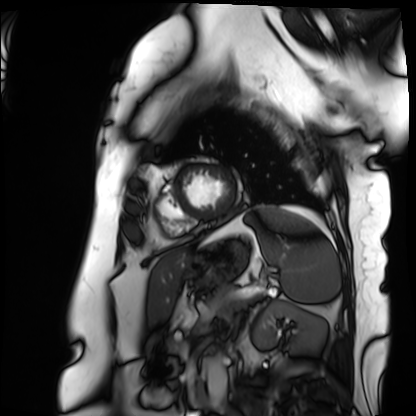
{"modality": "cardiac MRI", "cohort": "patient"}